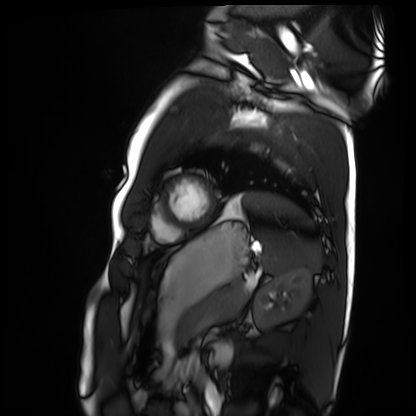
– modality — cardiac MRI
– subject group — healthy volunteer